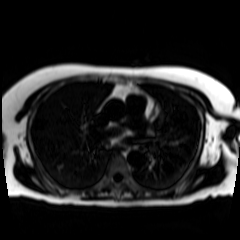
modality: chemical-shift-encoded cardiac MRI.